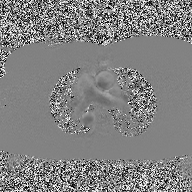
<case>
  <modality>
    <type>2D phase-contrast cine MRI</type>
    <region>ascending aorta</region>
    <reconstruction>high-resolution GRAPPA acquisition</reconstruction>
  </modality>
</case>